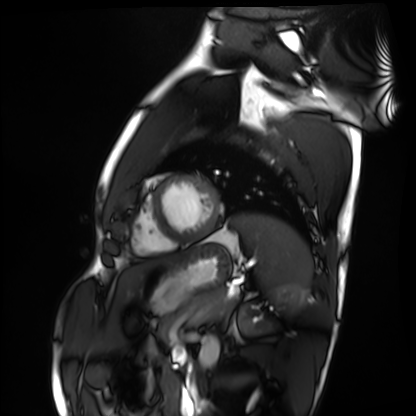
Cardiac MRI.
Subject group: healthy volunteer.